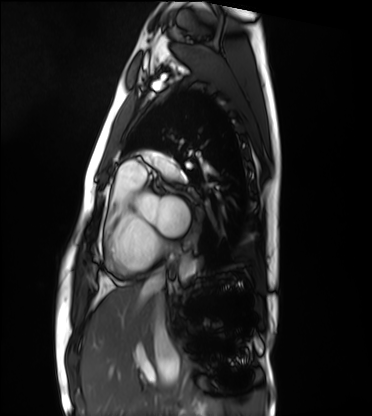
modality: cardiac MRI; subject group: healthy volunteer.